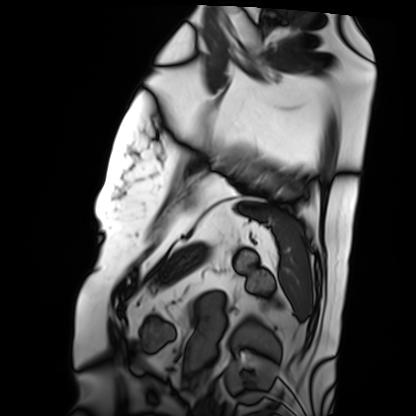
Clinical context: Cardiac MRI. Subject group: patient.